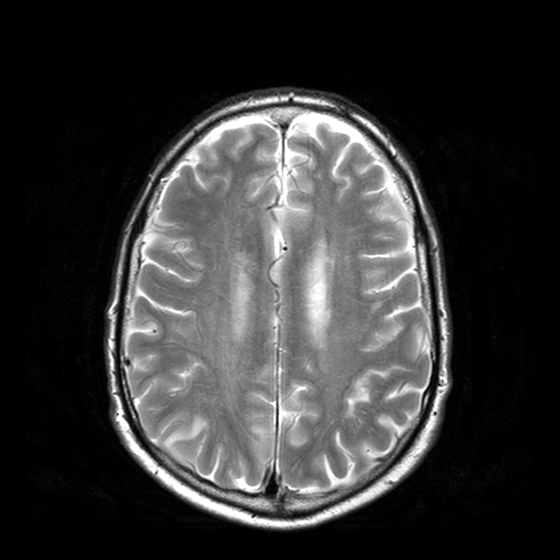
- modality — 3 Tesla brain MRI
- series — T2-weighted turbo spin echo with CLEAR
- study — ring-enhancing brain masses